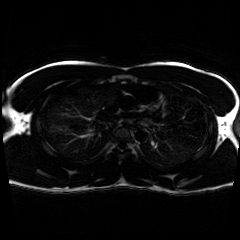
Chemical-shift-encoded cardiac MRI.